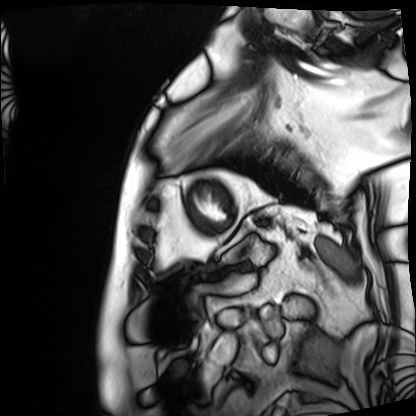
<case>
  <modality>cardiac MRI</modality>
  <cohort>patient</cohort>
</case>